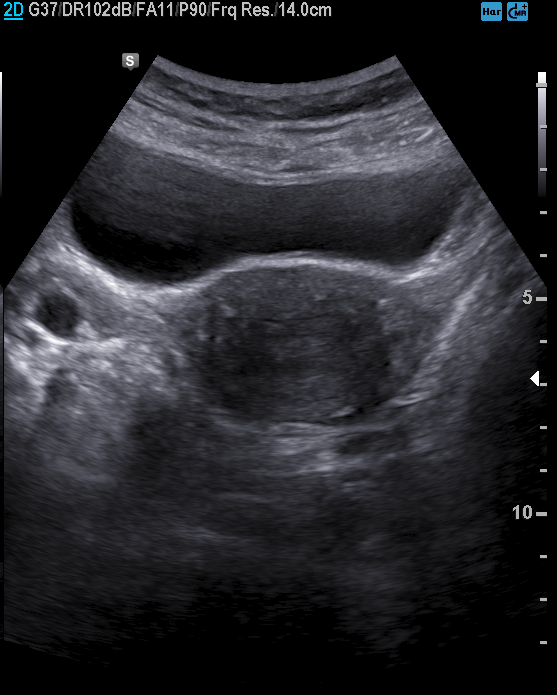
Clinical context: Genitourinary ultrasound.